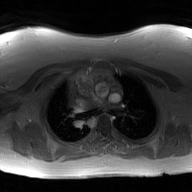
Summary: 2D phase-contrast cine MRI of the ascending aorta, GAN super-resolution reconstruction.